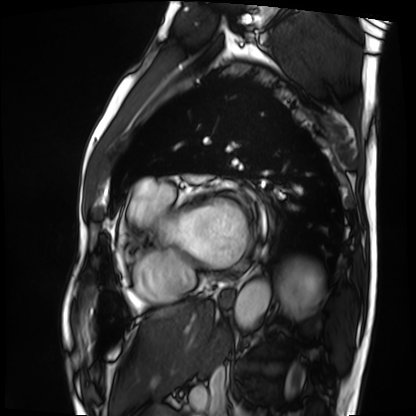
Case:
• modality — cardiac MRI
• subject group — patient